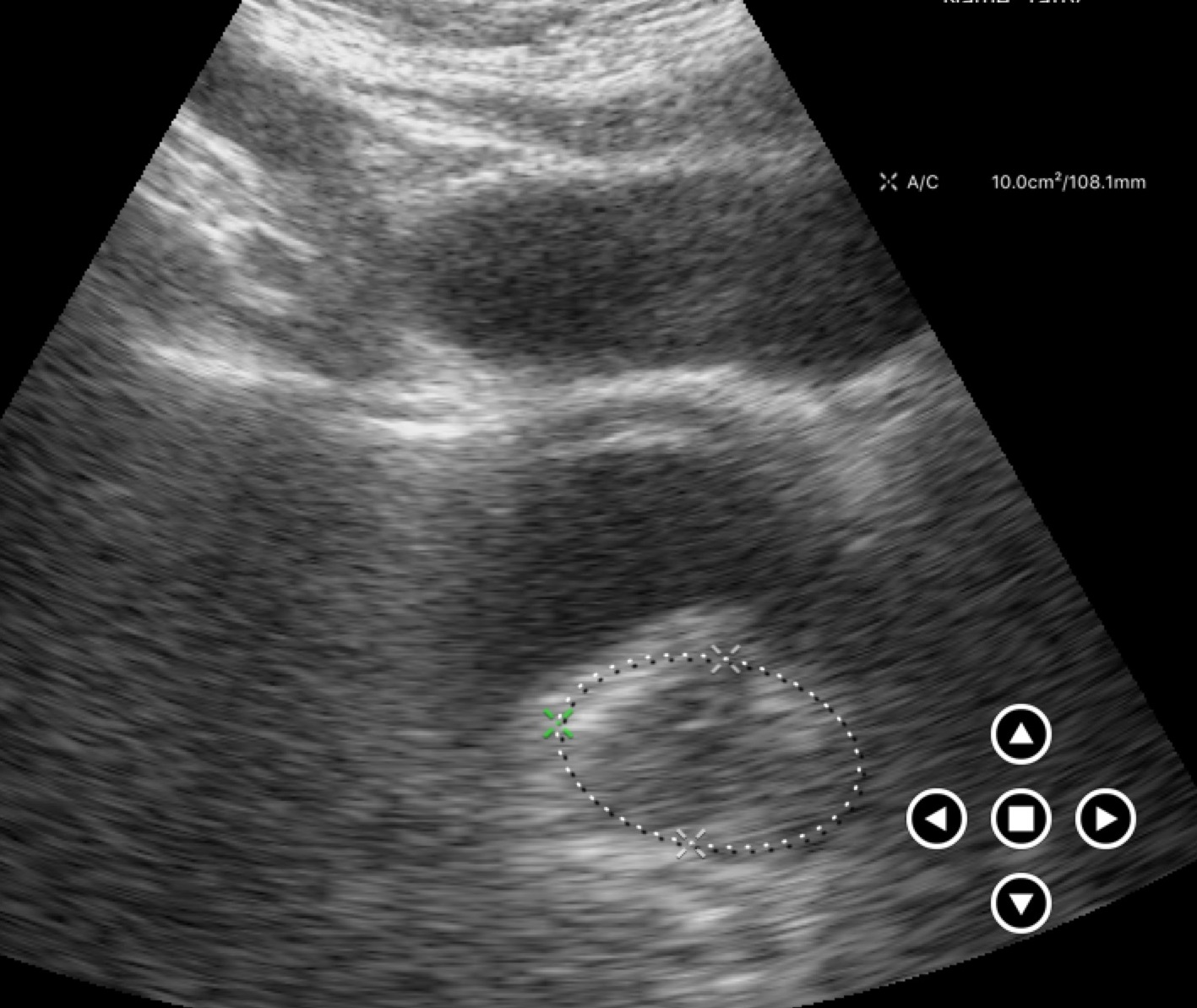
Genitourinary ultrasound.